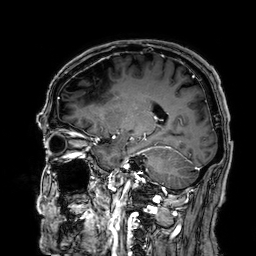
<case>
<modality>
  <type>brain MRI</type>
  <field_strength>3T</field_strength>
</modality>
<series>3D T1-weighted</series>
<study_topic>ring-enhancing brain masses</study_topic>
</case>